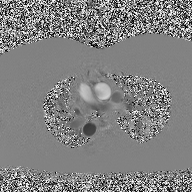
modality: 2D phase-contrast cine MRI of the ascending aorta